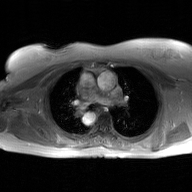
Q: What kind of scan is this?
A: 2D phase-contrast cine MRI of the ascending aorta, GAN super-resolution reconstruction.